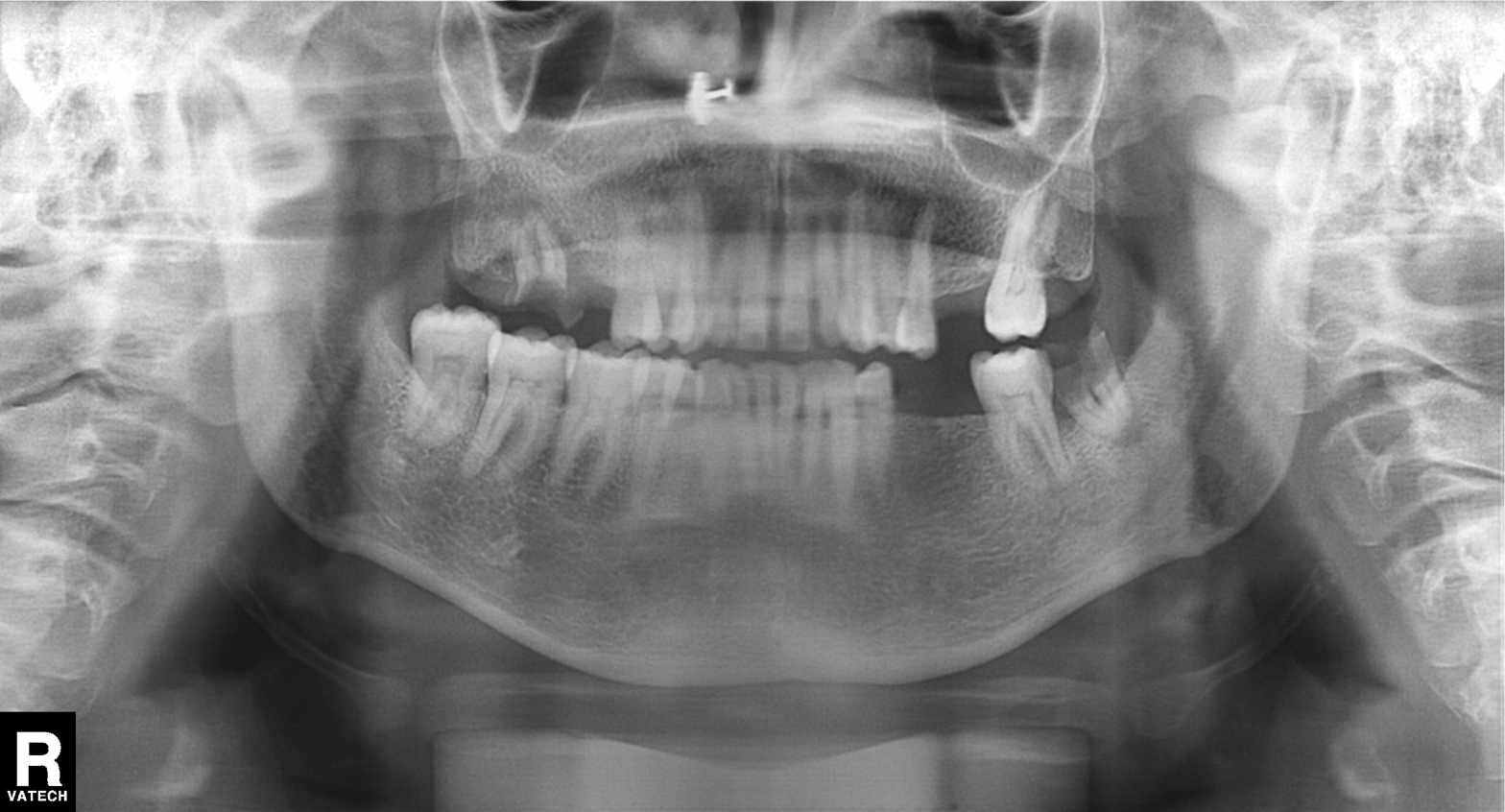
Panoramic dental radiograph (orthopantomogram).
Finding: tooth impaction.